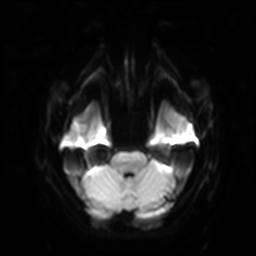
– modality: 3 Tesla brain MRI
– series: diffusion-weighted imaging with SENSE (WIP)
– study: ring-enhancing brain masses